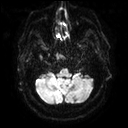
3 Tesla brain MRI.
Series: diffusion tensor imaging (medium iso).
Study: ring-enhancing brain masses.